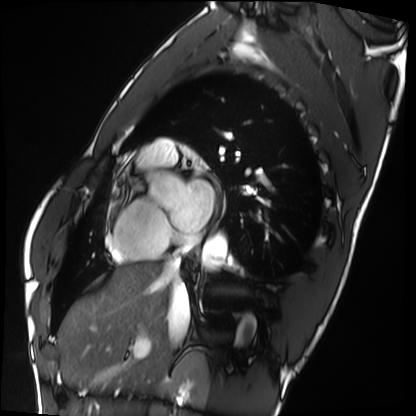
modality = cardiac MRI
subject group = healthy volunteer